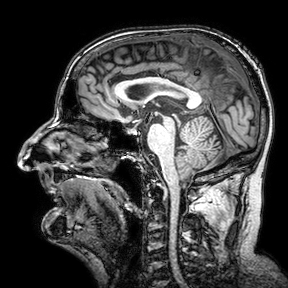
Case summary:
3 Tesla brain MRI. Series: 3D T1-weighted turbo field echo with SENSE. Study: ring-enhancing brain masses.